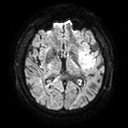
3 Tesla brain MRI. Series: diffusion tensor imaging (medium iso). Study: ring-enhancing brain masses.